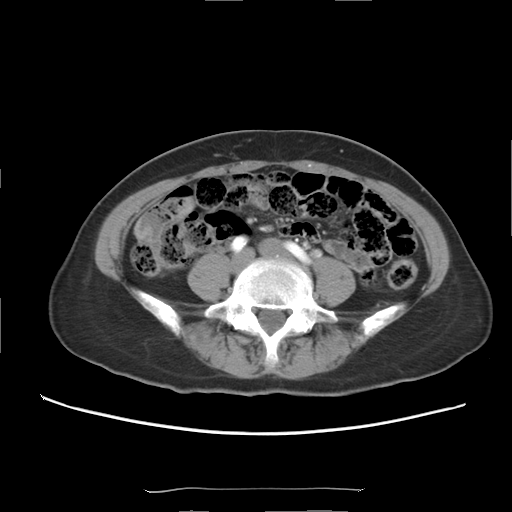
Multiphase abdominal CT, liver, arterial phase. Patient: female, age 56.